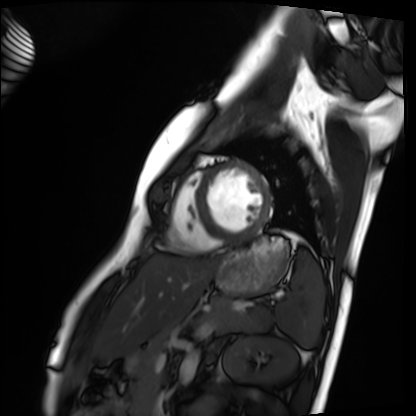
Cardiac MRI. Subject group: healthy volunteer.